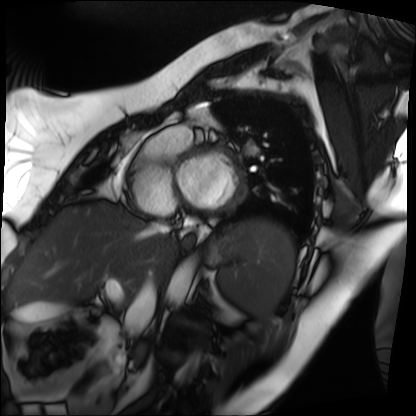
Cardiac MRI.
Subject group: patient.